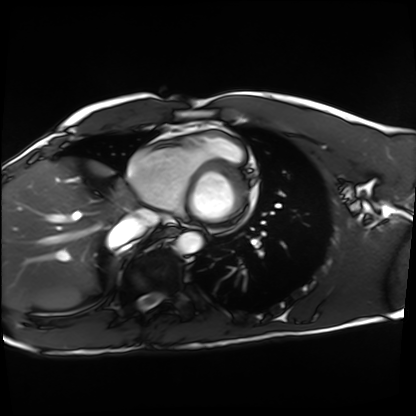
{"modality": "cardiac MRI", "cohort": "healthy volunteer"}